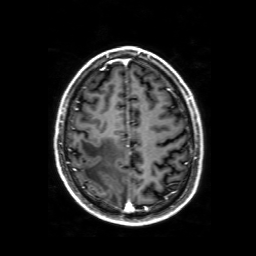
modality: 3 Tesla brain MRI | series: 3D T1-weighted with SENSE | study: ring-enhancing brain masses.